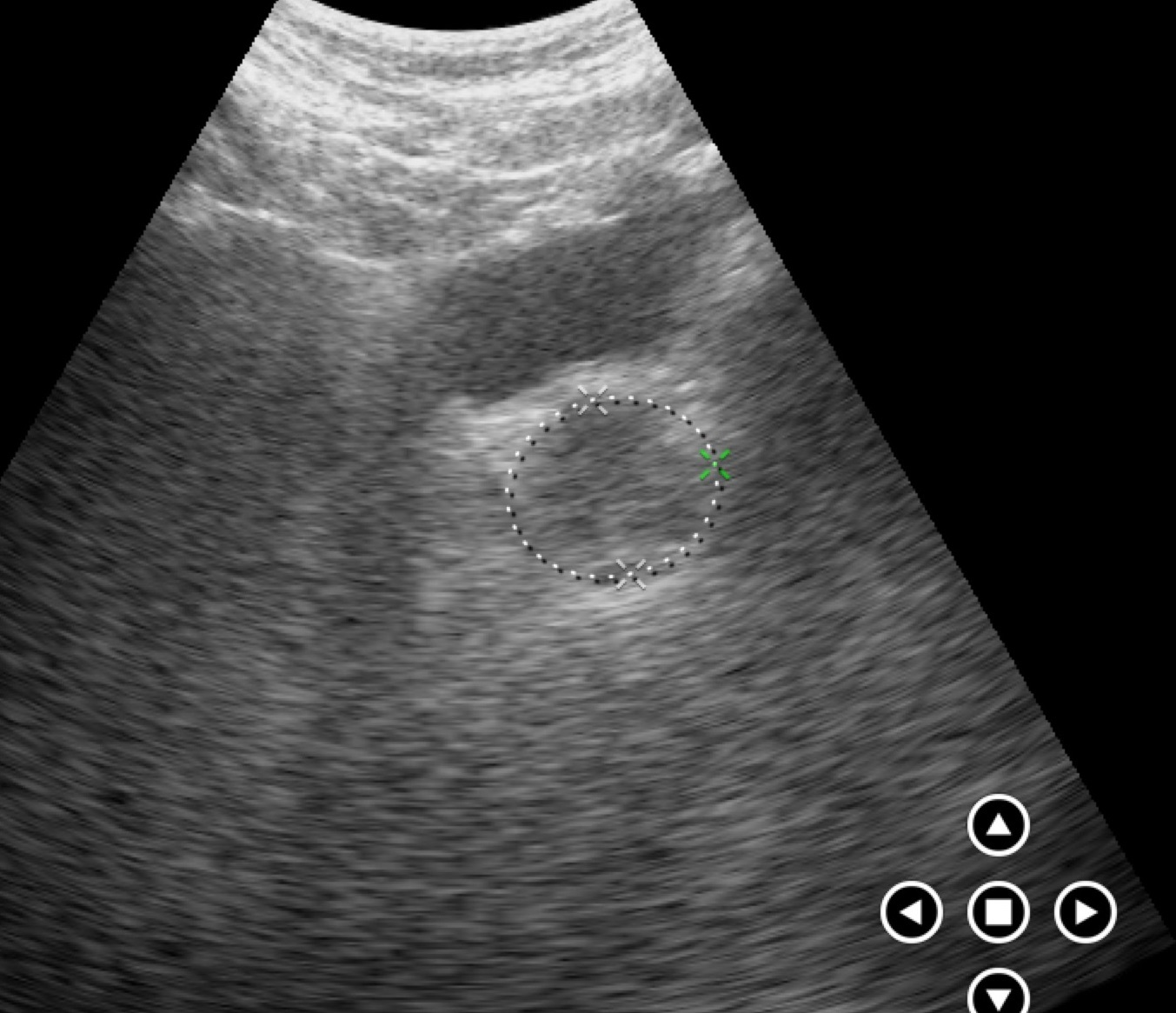
{
  "modality": {
    "type": "genitourinary ultrasound"
  }
}